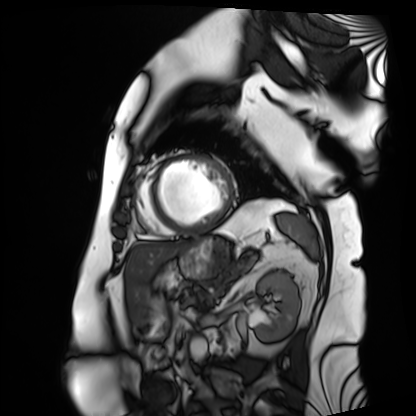
Cardiac MRI. Subject group: patient.